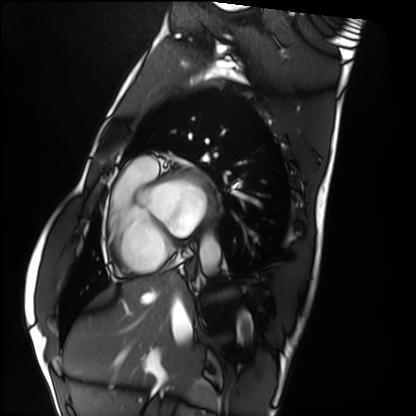
Clinical context:
Cardiac MRI. Subject group: healthy volunteer.